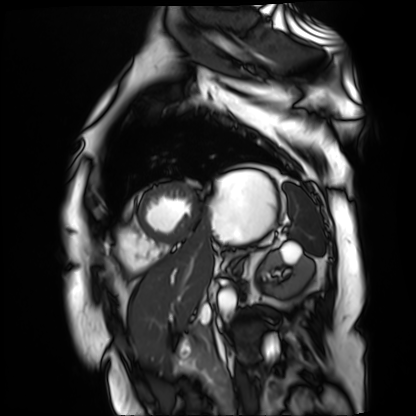
Cardiac MR image of the myocardium. Subject cohort: cardiac patient.